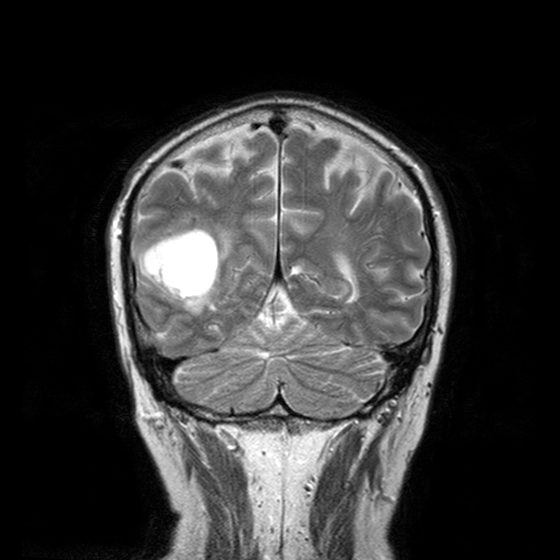
modality: 3 Tesla brain MRI; series: T2-weighted turbo spin echo with CLEAR; study: ring-enhancing brain masses.